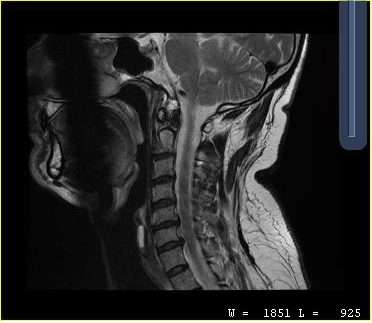
<case>
<modality>
  <type>cervical spine MRI</type>
</modality>
<study_topic>cervical spondylosis</study_topic>
</case>